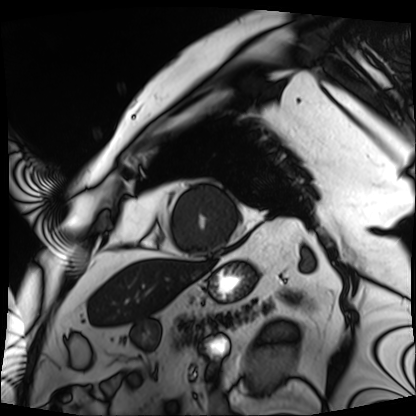
Case summary:
Cardiac MRI. Subject group: patient.